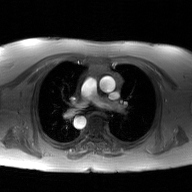
Summary:
2D phase-contrast cine MRI of the ascending aorta, GAN super-resolution reconstruction.